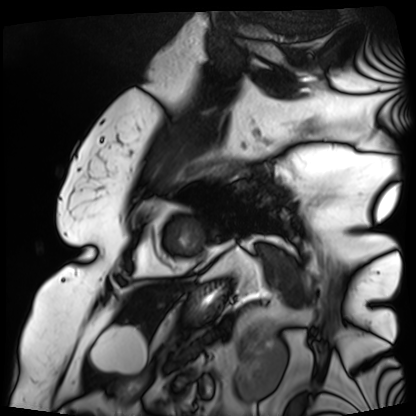
modality=cardiac MRI
subject group=patient